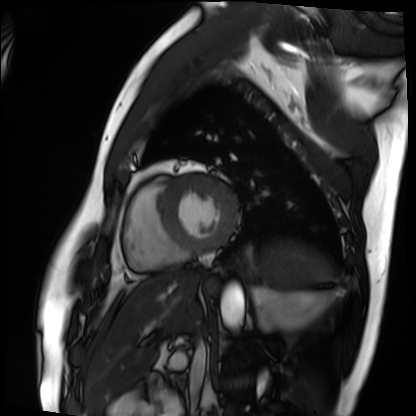
Cardiac MRI. Subject group: patient.